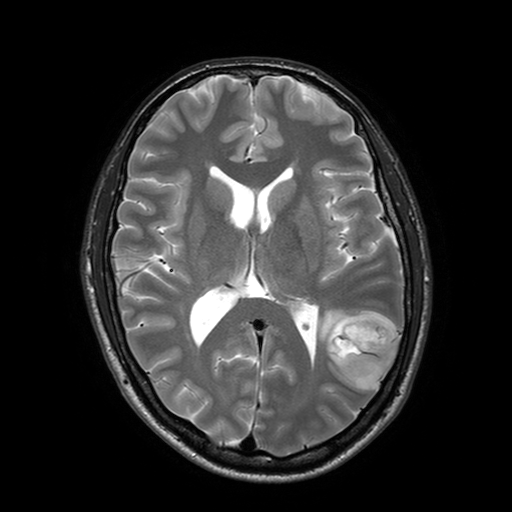
3 Tesla brain MRI.
Series: T2-weighted turbo spin echo with SENSE.
Study: ring-enhancing brain masses.